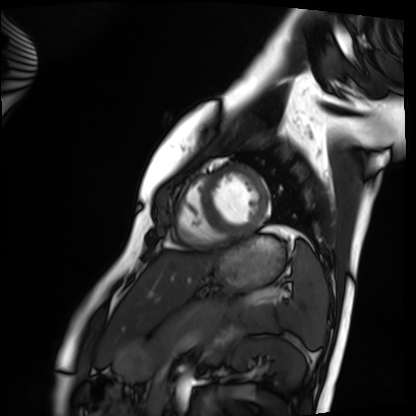
Cardiac MRI. Subject group: healthy volunteer.